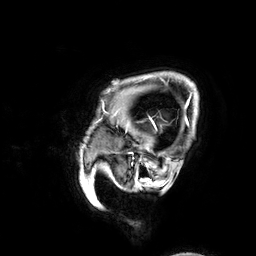
3 Tesla brain MRI.
Series: 3D T1-weighted.
Study: ring-enhancing brain masses.